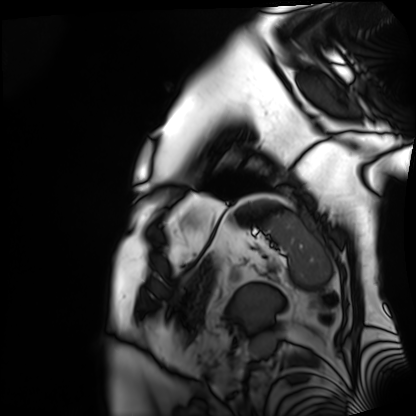
modality = cardiac MRI, subject group = patient.